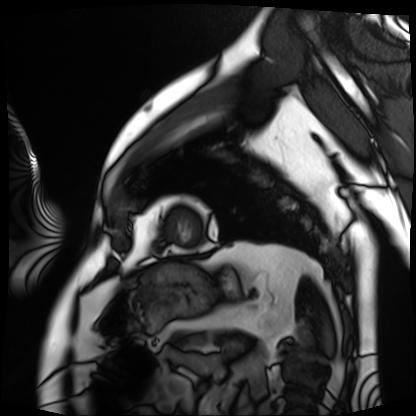
Case summary:
Cardiac MRI. Subject group: patient.